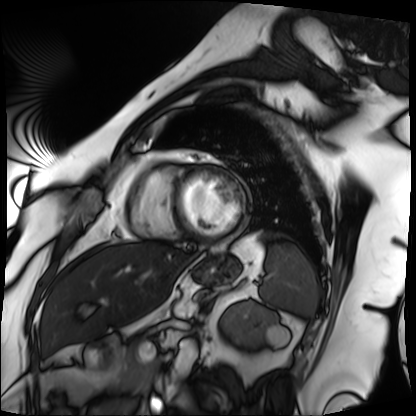
Cardiac MRI.
Subject group: patient.